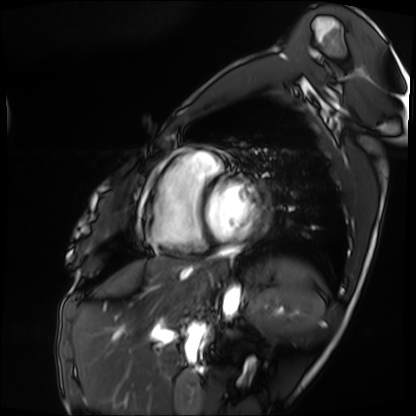
Cardiac MRI. Subject group: patient.